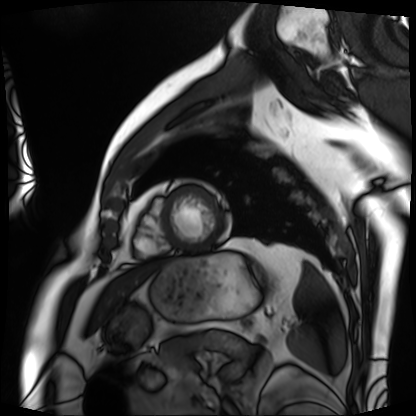
Cardiac MRI.
Subject group: patient.